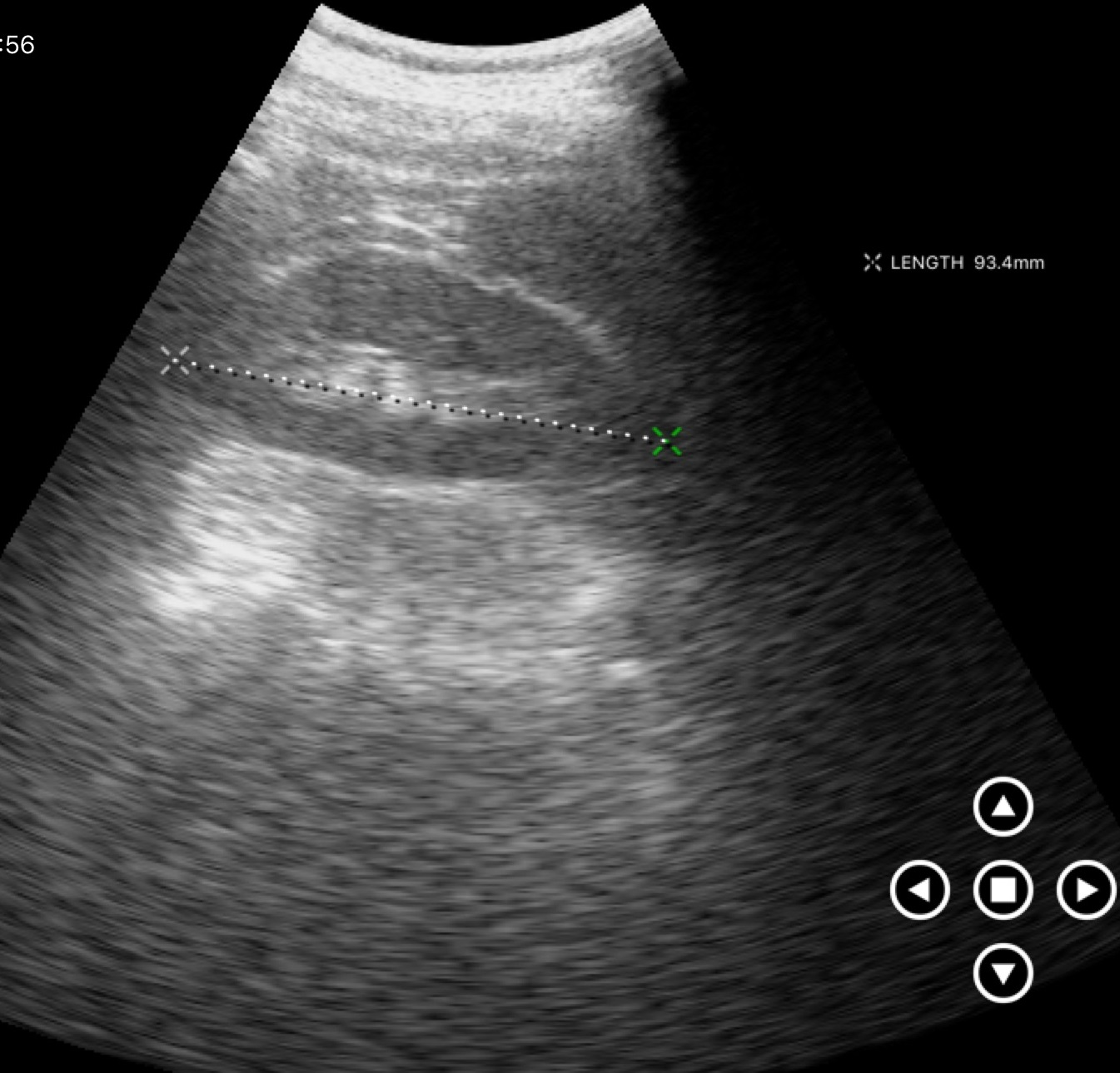
Genitourinary ultrasound.